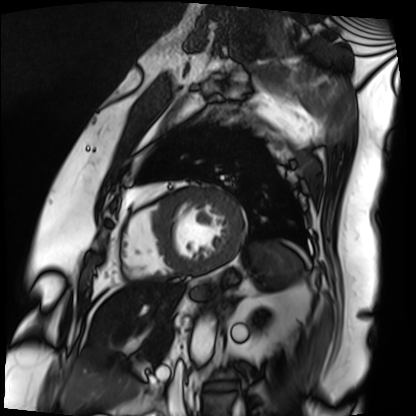
- modality: cardiac MRI
- subject group: patient